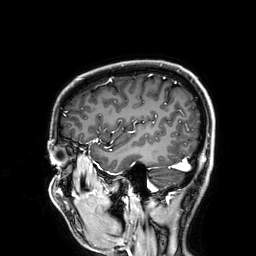
Clinical context: 3 Tesla brain MRI. Study: ring-enhancing brain masses.